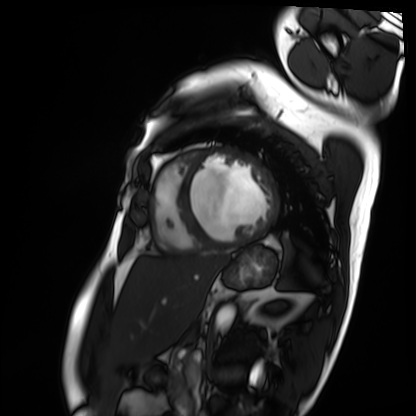
Cardiac MRI. Subject group: patient.